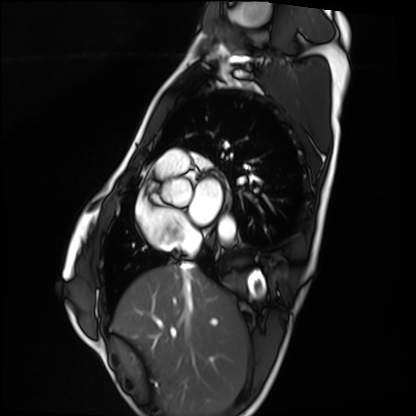
Summary:
Cardiac MRI. Subject group: healthy volunteer.